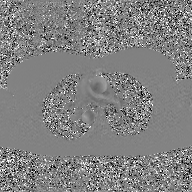
modality: 2D phase-contrast cine MRI of the ascending aorta, GAN super-resolution reconstruction.